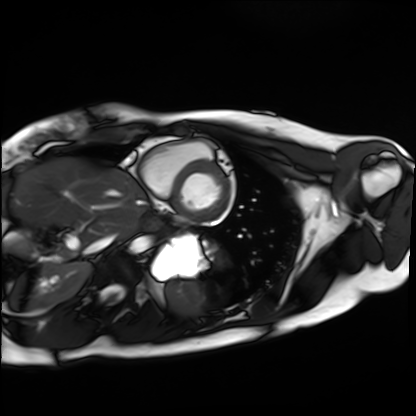
Summary: Cardiac MRI. Subject group: healthy volunteer.